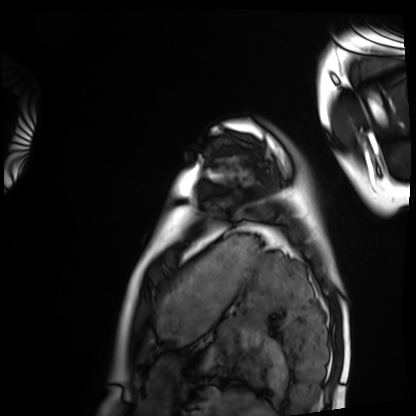
Cardiac MRI.
Subject group: healthy volunteer.